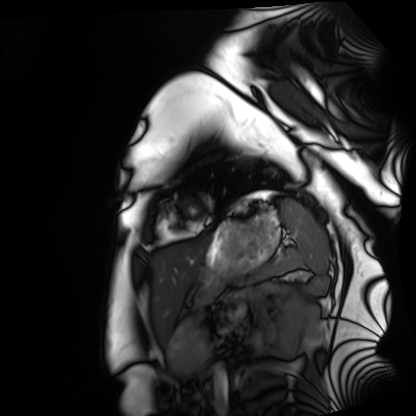
  modality: cardiac MRI
  cohort: healthy volunteer